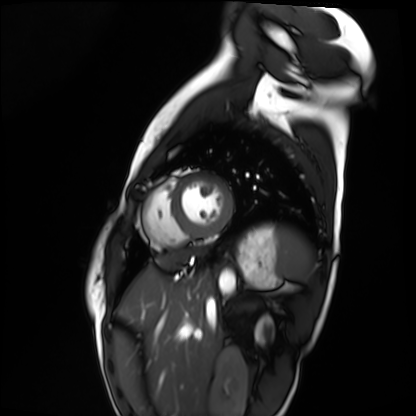
Q: What kind of scan is this?
A: Cardiac MRI.
Subject group: healthy volunteer.